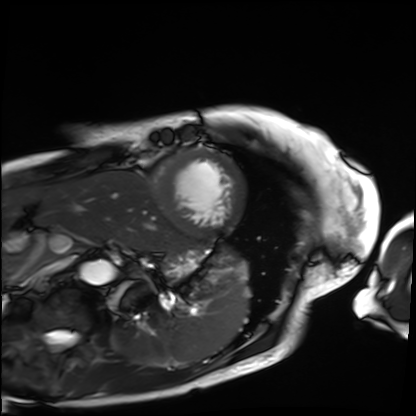
Q: What kind of scan is this?
A: Cardiac MRI.
Subject group: patient.